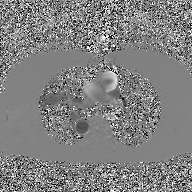
modality — 2D phase-contrast cine MRI of the ascending aorta, GAN super-resolution reconstruction.